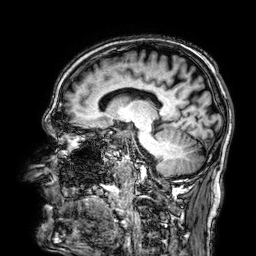
modality:
  type: brain MRI
  field_strength: 3T
series: 3D T1-weighted
study_topic: ring-enhancing brain masses